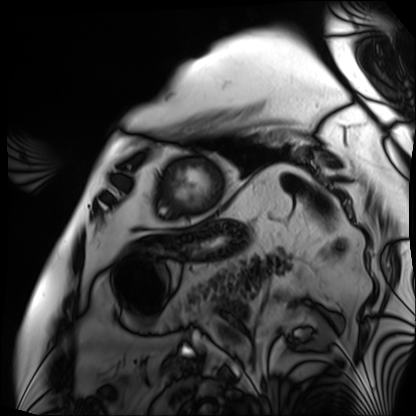
Case:
- modality: cardiac MRI
- subject group: patient